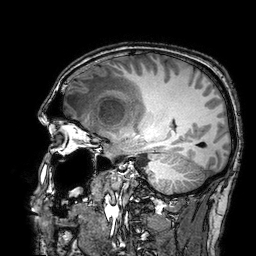
<scan>
  <modality>
    <type>brain MRI</type>
    <field_strength>3T</field_strength>
  </modality>
  <series>3D T1-weighted turbo field echo with SENSE</series>
  <study_topic>ring-enhancing brain masses</study_topic>
</scan>